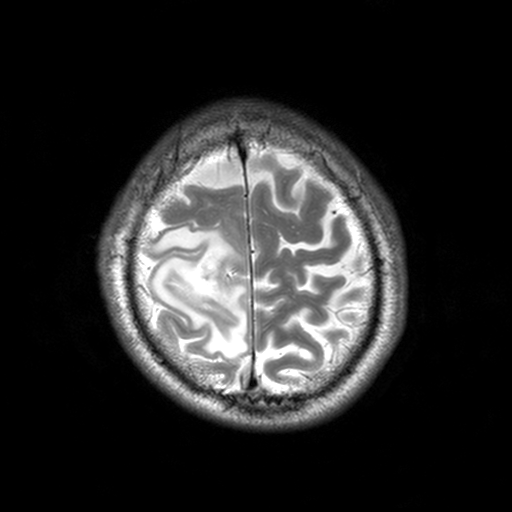
<case>
  <modality>
    <type>brain MRI</type>
    <field_strength>3T</field_strength>
  </modality>
  <series>T2-weighted turbo spin echo, 3 mm</series>
  <study_topic>ring-enhancing brain masses</study_topic>
</case>